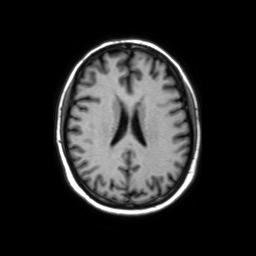
{"modality": {"type": "brain MRI", "field_strength": "3T"}, "series": "axial without contrast", "study_topic": "ring-enhancing brain masses"}